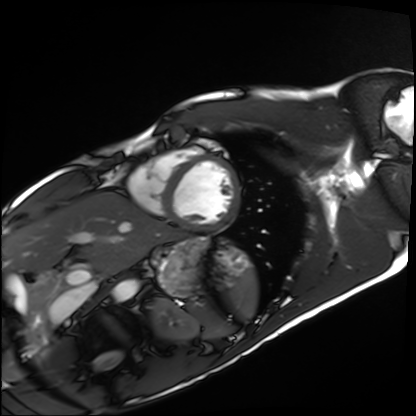
Cardiac MRI. Subject group: healthy volunteer.